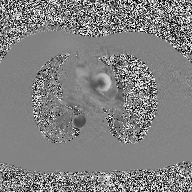
Q: What kind of scan is this?
A: 2D phase-contrast cine MRI of the ascending aorta.